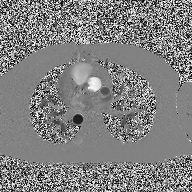
2D phase-contrast cine MRI of the ascending aorta, high-resolution GRAPPA acquisition.